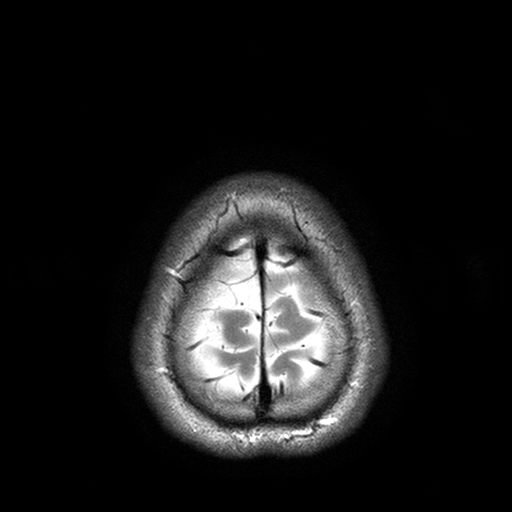
modality: 3 Tesla brain MRI
series: T2-weighted turbo spin echo with SENSE
study: ring-enhancing brain masses